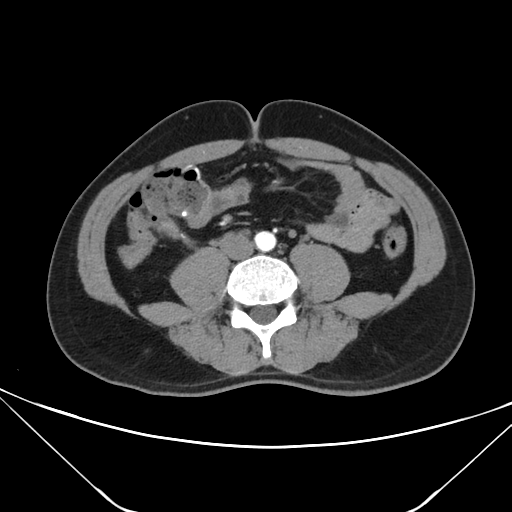
modality: multiphase abdominal CT, liver, arterial phase | patient: male, age 35 | history: prior chemotherapy.